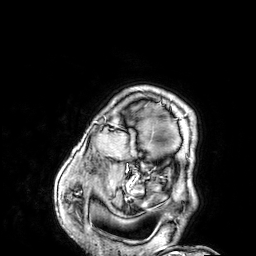
Clinical context:
3 Tesla brain MRI. Study: ring-enhancing brain masses.